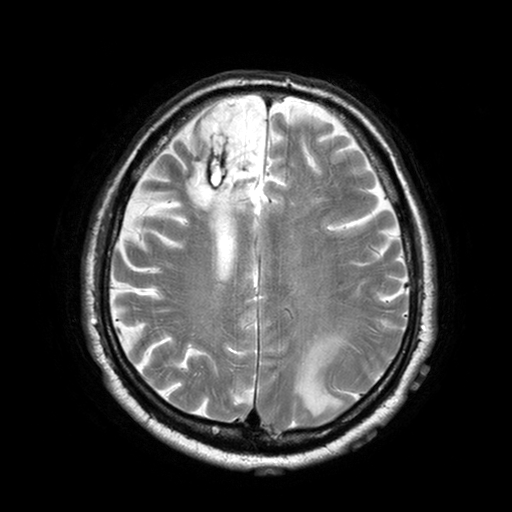
Clinical context: 3 Tesla brain MRI. Series: T2-weighted turbo spin echo with SENSE. Study: ring-enhancing brain masses.